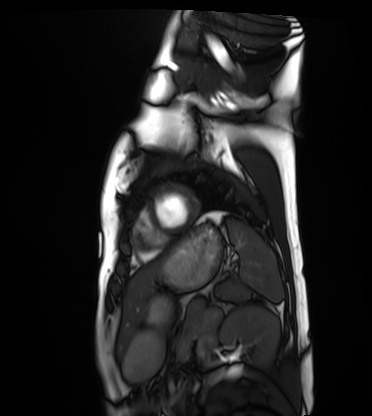
Case summary:
Cardiac MRI. Subject group: healthy volunteer.